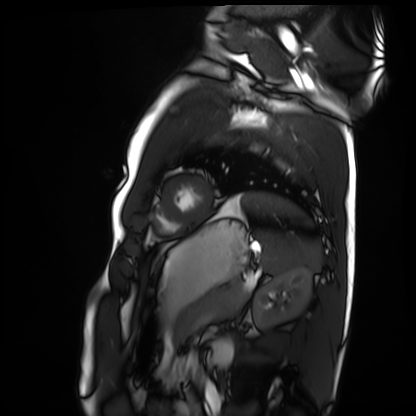
Case summary:
Cardiac MRI. Subject group: healthy volunteer.